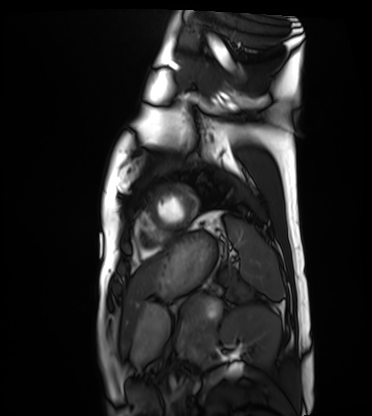
– modality — cardiac MRI
– subject group — healthy volunteer